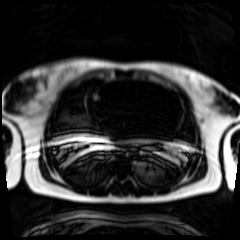
modality: chemical-shift-encoded cardiac MRI.